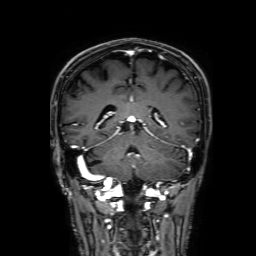
Summary: 3 Tesla brain MRI. Study: ring-enhancing brain masses.